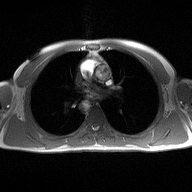
Summary:
2D phase-contrast cine MRI of the ascending aorta, high-resolution GRAPPA acquisition.